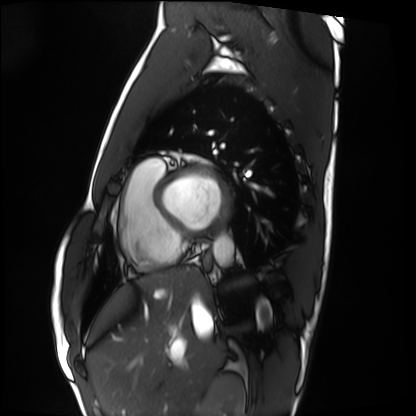
| field | value |
|---|---|
| modality | cardiac MRI |
| subject group | healthy volunteer |